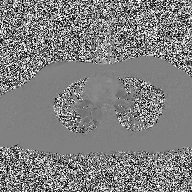
modality = 2D phase-contrast cine MRI of the ascending aorta.